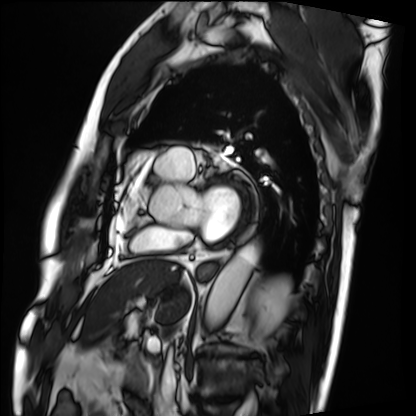
Cardiac MRI.
Subject group: patient.